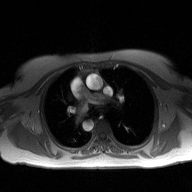
| field | value |
|---|---|
| modality | 2D phase-contrast cine MRI of the ascending aorta |